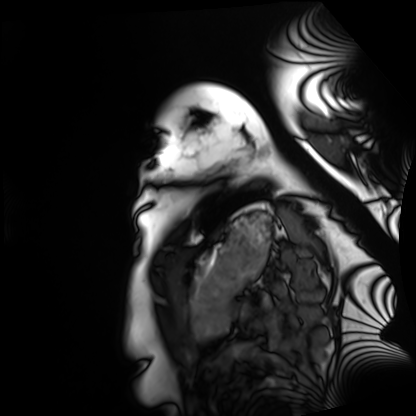
Cardiac MRI.
Subject group: healthy volunteer.